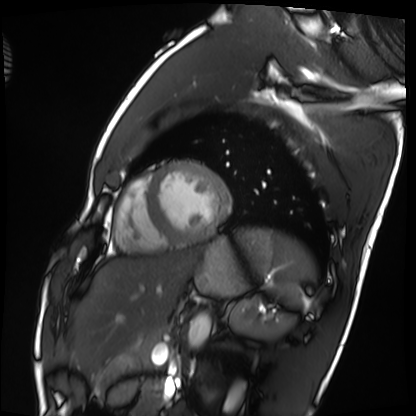
{"modality": "cardiac MRI", "cohort": "healthy volunteer"}